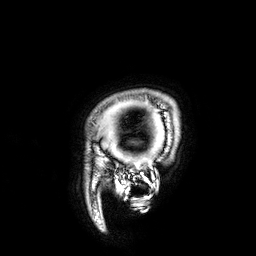
3 Tesla brain MRI. Series: 3D T1-weighted. Study: ring-enhancing brain masses.